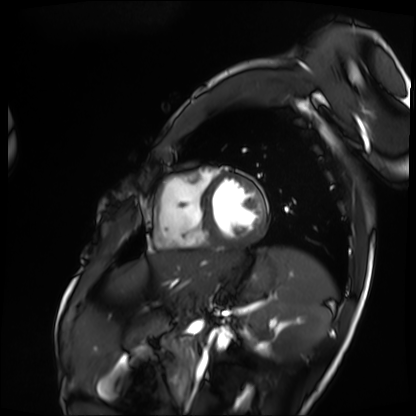
modality = cardiac MRI | subject group = patient.